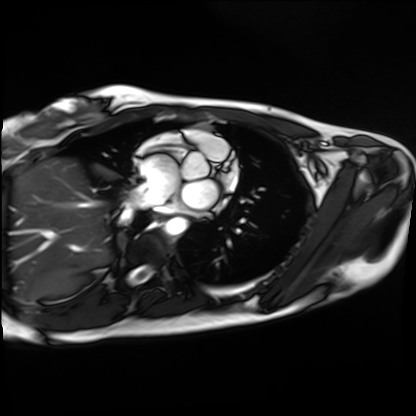
modality = cardiac MRI, subject group = healthy volunteer.